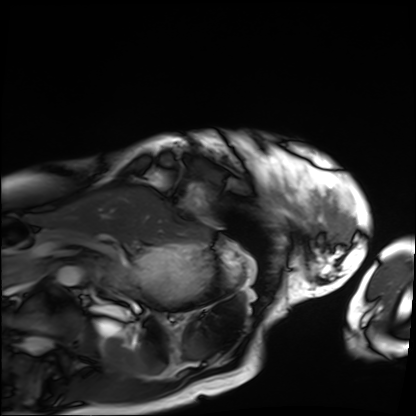
Cardiac MRI. Subject group: patient.